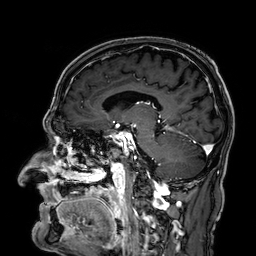
* modality — 3 Tesla brain MRI
* series — 3D T1-weighted
* study — ring-enhancing brain masses